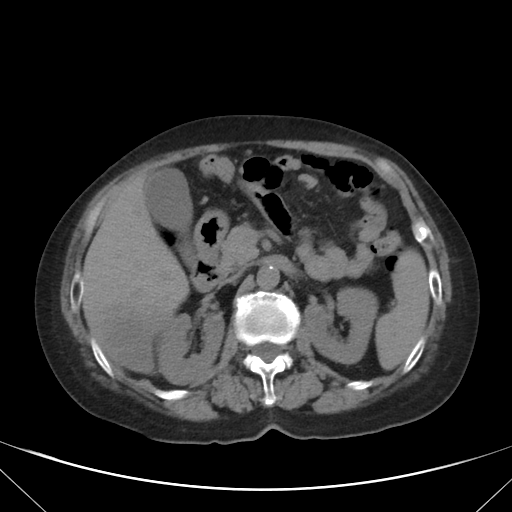
<case>
  <modality>
    <type>multiphase abdominal CT</type>
    <region>liver</region>
    <phase>non-contrast</phase>
  </modality>
  <patient>
    <sex>female</sex>
    <age>76</age>
  </patient>
</case>